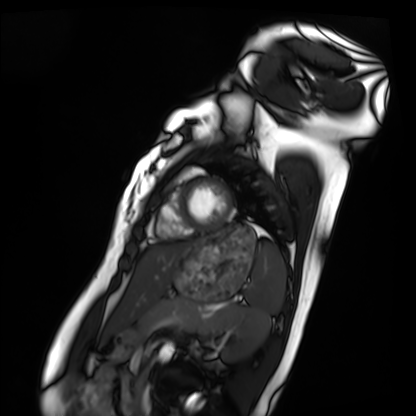
<record>
  <modality>cardiac MRI</modality>
  <cohort>healthy volunteer</cohort>
</record>